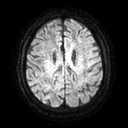
3 Tesla brain MRI. Series: diffusion tensor imaging (medium iso). Study: ring-enhancing brain masses.